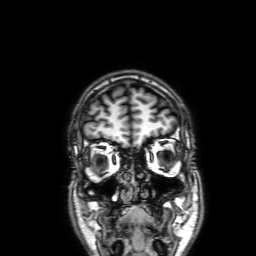
3 Tesla brain MRI. Series: 3D T1-weighted with SENSE. Study: ring-enhancing brain masses.